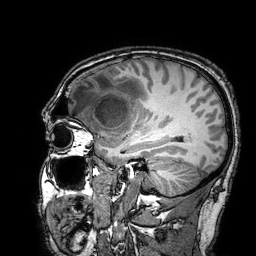
3 Tesla brain MRI. Series: 3D T1-weighted turbo field echo with SENSE. Study: ring-enhancing brain masses.